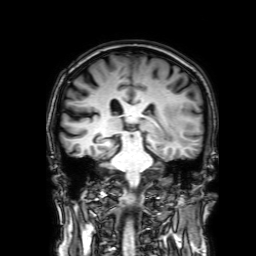
3 Tesla brain MRI.
Series: 3D T1-weighted with SENSE.
Study: ring-enhancing brain masses.